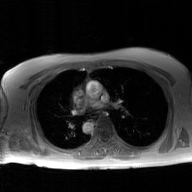
Summary:
2D phase-contrast cine MRI of the ascending aorta, GAN super-resolution reconstruction.